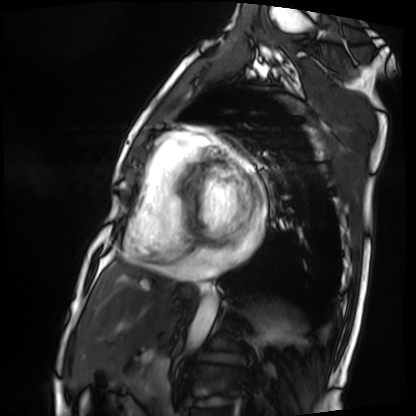
modality = cardiac MRI; subject group = patient.